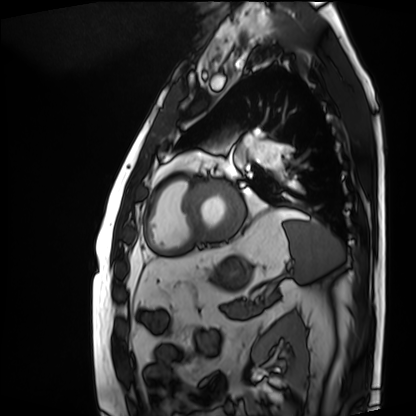
modality: cardiac MRI | subject group: patient.